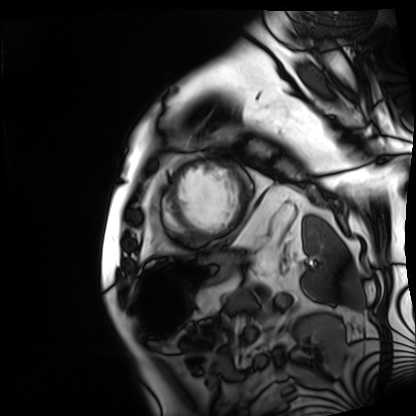
Cardiac MRI. Subject group: patient.